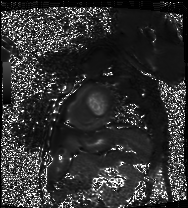
* modality · cardiac MRI
* subject group · patient